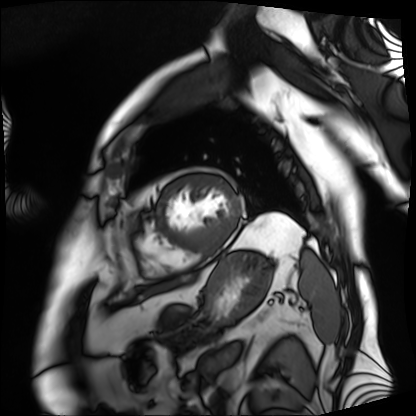
Cardiac MRI. Subject group: patient.